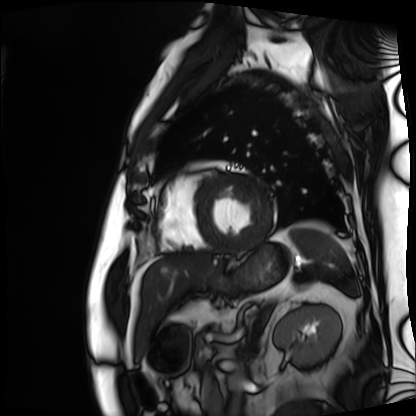
modality: cardiac MRI, subject group: patient.